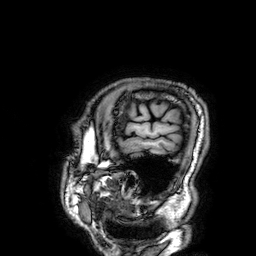
3 Tesla brain MRI. Series: 3D T1-weighted. Study: ring-enhancing brain masses.